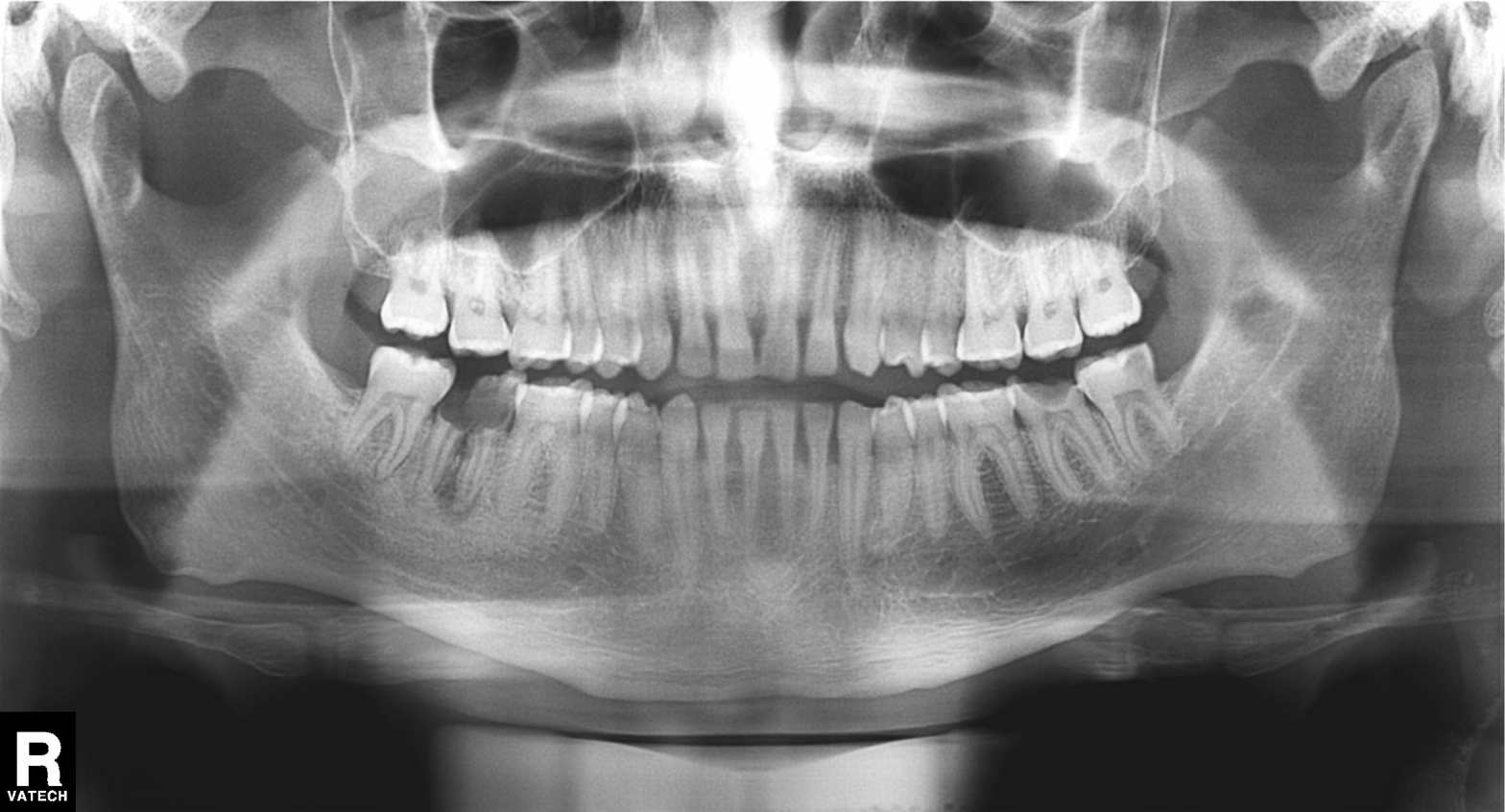
- modality: panoramic dental radiograph (orthopantomogram)
- finding: tooth impaction